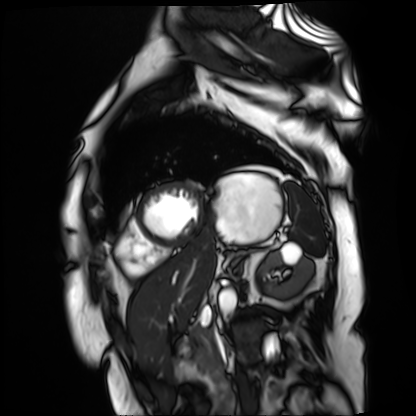
Summary:
Cardiac MR image of the myocardium. Subject cohort: cardiac patient.